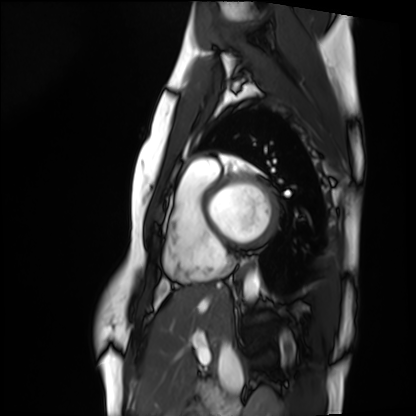
Case:
* modality: cardiac MRI
* subject group: healthy volunteer